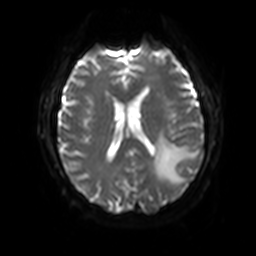
modality = 3 Tesla brain MRI; series = diffusion-weighted imaging with SENSE (WIP); study = ring-enhancing brain masses.